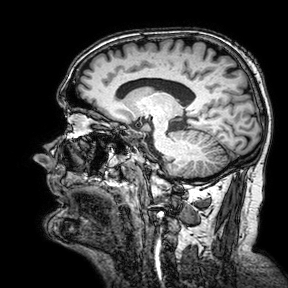
3 Tesla brain MRI. Series: 3D T1-weighted turbo field echo with SENSE. Study: ring-enhancing brain masses.